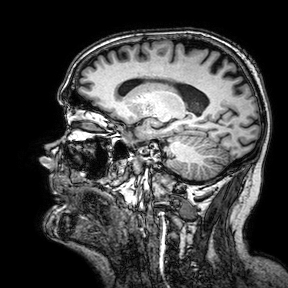
Summary:
3 Tesla brain MRI. Series: 3D T1-weighted turbo field echo with SENSE. Study: ring-enhancing brain masses.